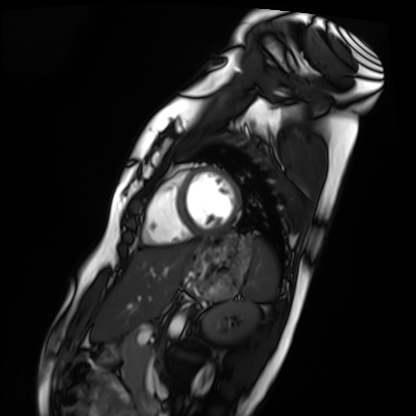
Cardiac MRI. Subject group: healthy volunteer.